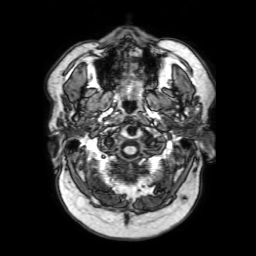
Summary:
3 Tesla brain MRI. Study: ring-enhancing brain masses.